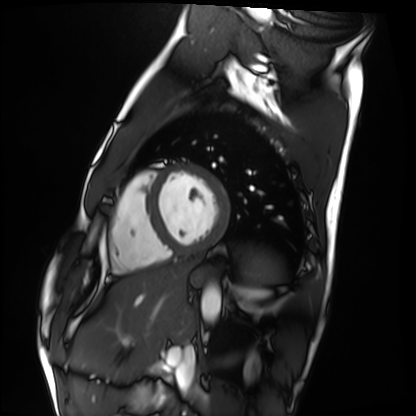
Cardiac MRI.
Subject group: healthy volunteer.